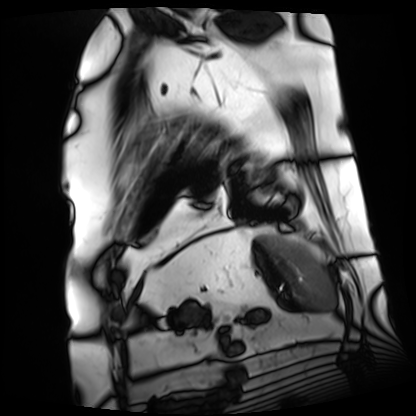
{
  "modality": "cardiac MRI",
  "cohort": "patient"
}